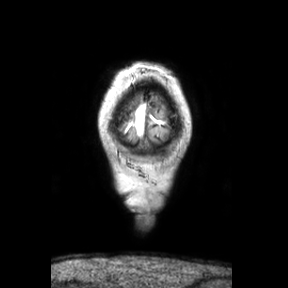
Case summary:
3 Tesla brain MRI. Series: coronal. Study: ring-enhancing brain masses.